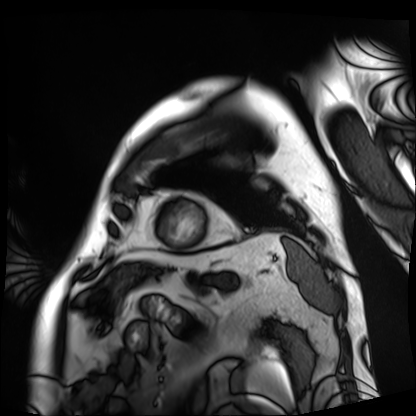
Case summary:
Cardiac MRI. Subject group: patient.